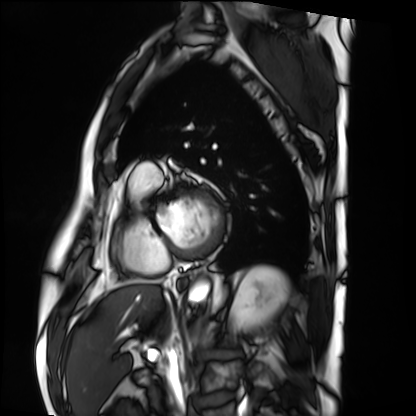
• modality: cardiac MRI
• subject group: patient